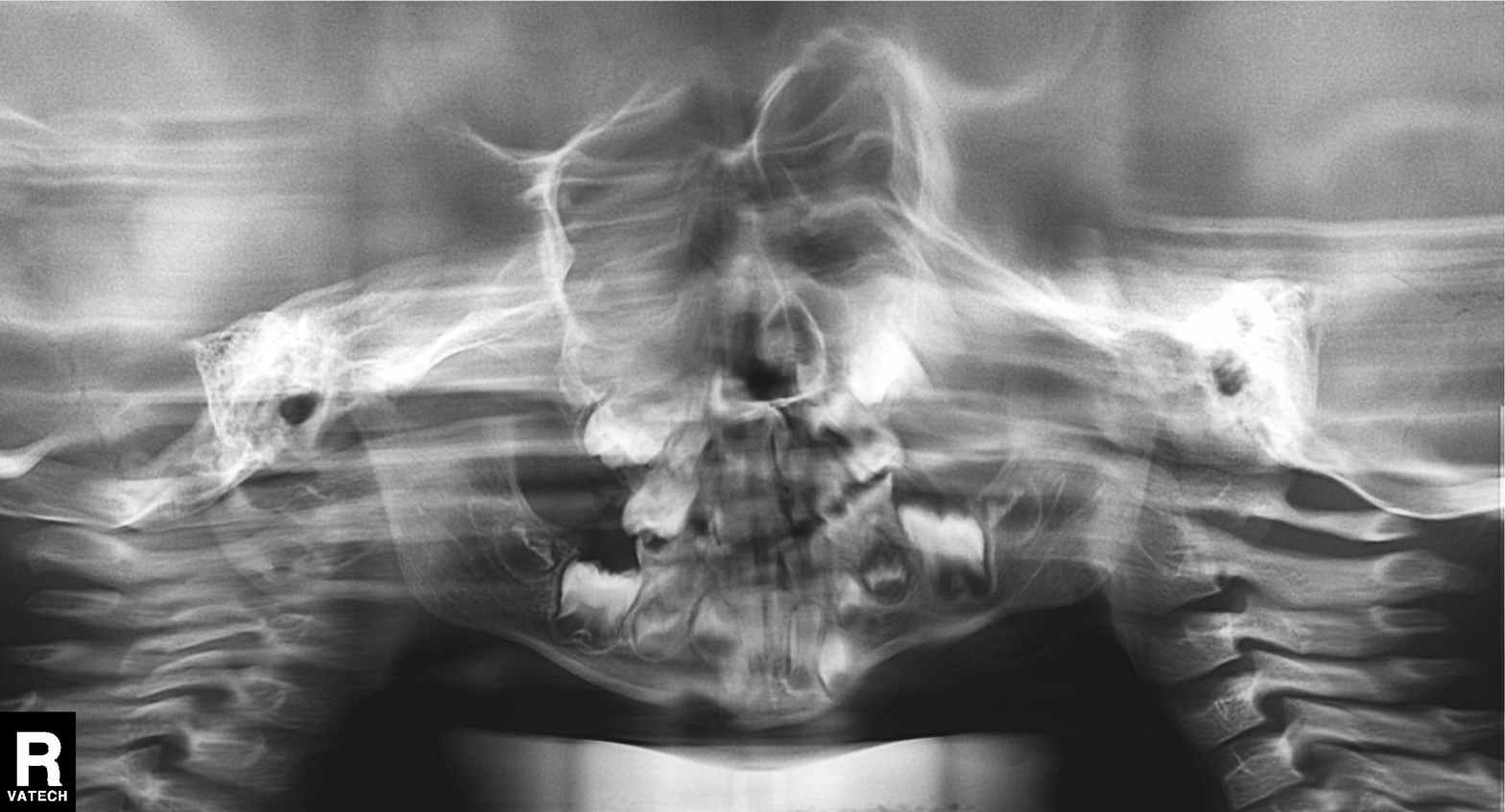
- modality — panoramic dental radiograph (orthopantomogram)
- finding — tooth impaction